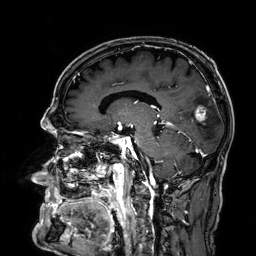
Case summary:
3 Tesla brain MRI. Series: 3D T1-weighted. Study: ring-enhancing brain masses.